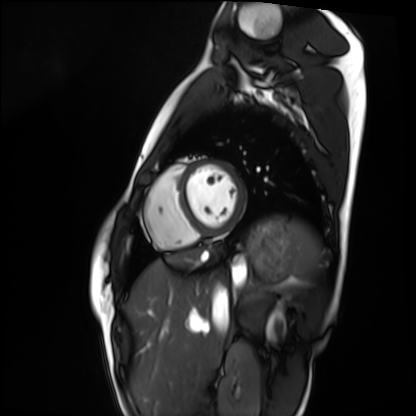
Q: What kind of scan is this?
A: Cardiac MRI.
Subject group: healthy volunteer.